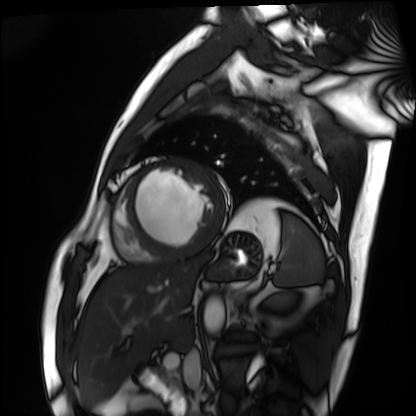
modality — cardiac MRI | subject group — patient.